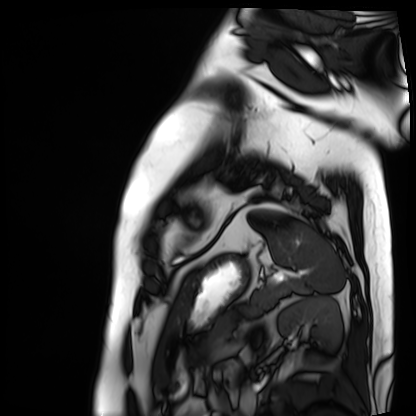
Clinical context:
Cardiac MRI. Subject group: patient.